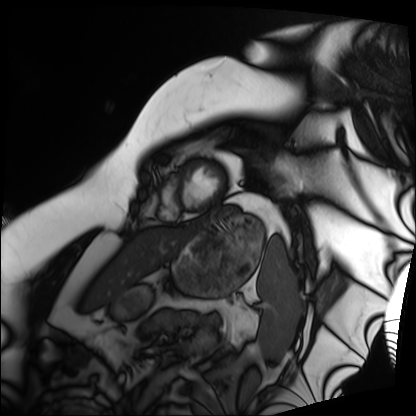
modality: cardiac MRI
subject group: patient